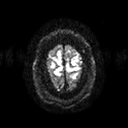
Summary: 3 Tesla brain MRI. Series: diffusion tensor imaging (medium iso). Study: ring-enhancing brain masses.